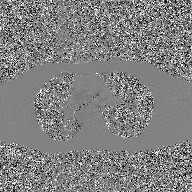
2D phase-contrast cine MRI of the ascending aorta, GAN super-resolution reconstruction.